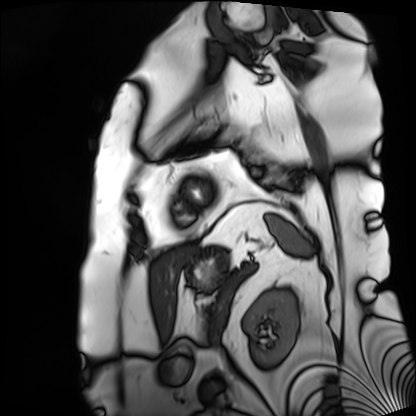
modality = cardiac MRI
subject group = patient